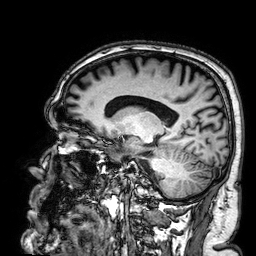
3 Tesla brain MRI. Series: 3D T1-weighted. Study: ring-enhancing brain masses.